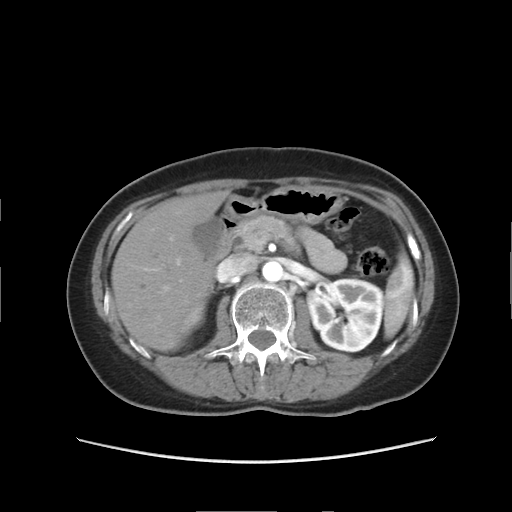
modality:
  type: multiphase abdominal CT
  region: liver
  phase: arterial
patient:
  sex: female
  age: 51
history:
  - prior chemotherapy